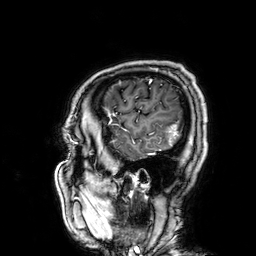
Q: What kind of scan is this?
A: 3 Tesla brain MRI.
Q: Series?
A: 3D T1-weighted.
Study: ring-enhancing brain masses.